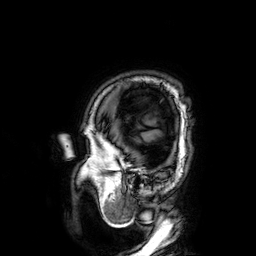
{"modality": {"type": "brain MRI", "field_strength": "3T"}, "series": "3D T1-weighted", "study_topic": "ring-enhancing brain masses"}